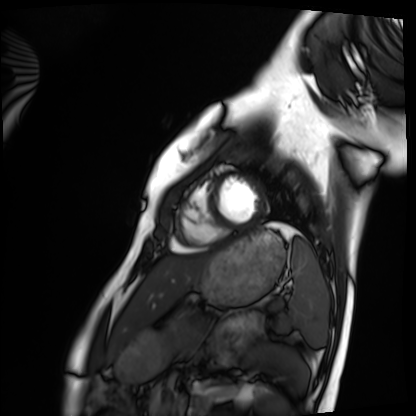
Cardiac MRI. Subject group: healthy volunteer.